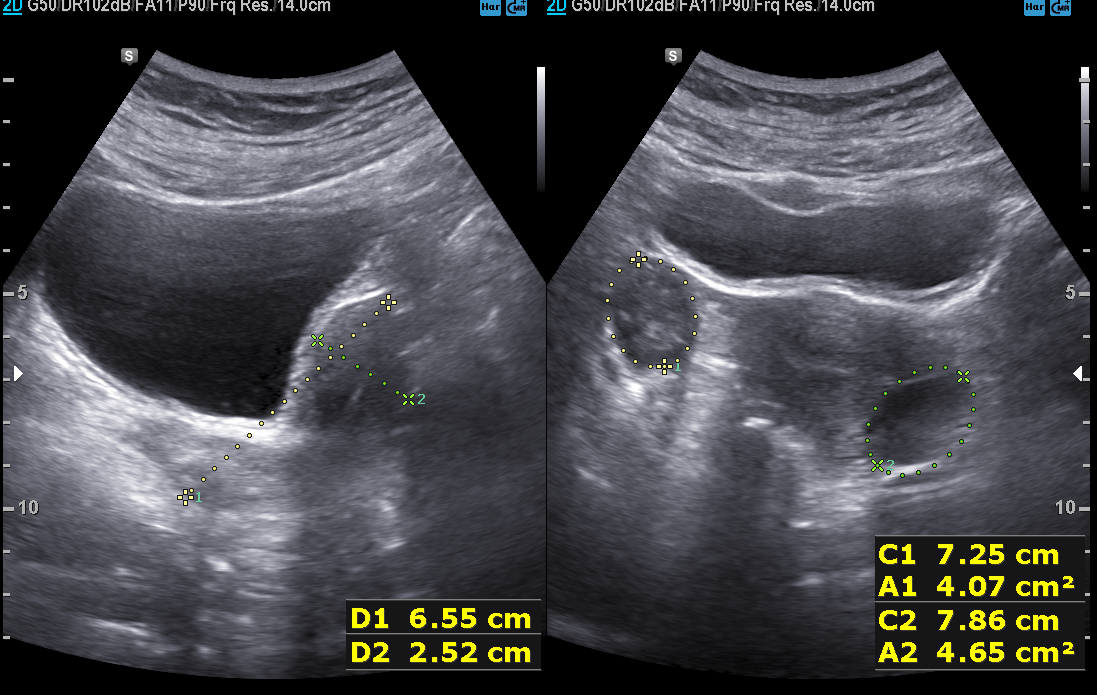
Genitourinary ultrasound.